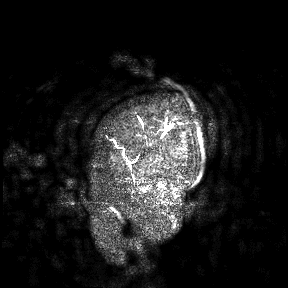
<record>
  <modality>
    <type>brain MRI</type>
    <field_strength>3T</field_strength>
  </modality>
  <study_topic>ring-enhancing brain masses</study_topic>
</record>